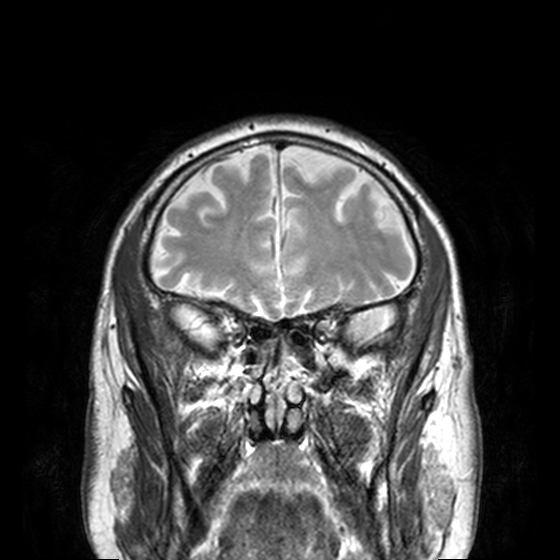
Summary: 3 Tesla brain MRI. Series: T2-weighted turbo spin echo, 3 mm. Study: ring-enhancing brain masses.